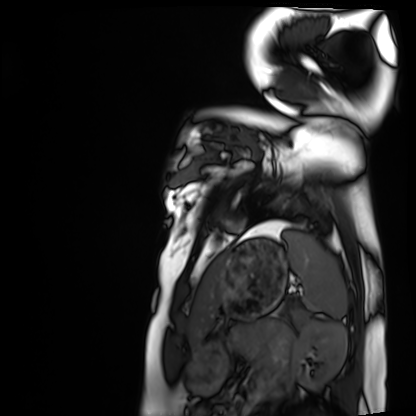
modality: cardiac MRI
subject group: healthy volunteer